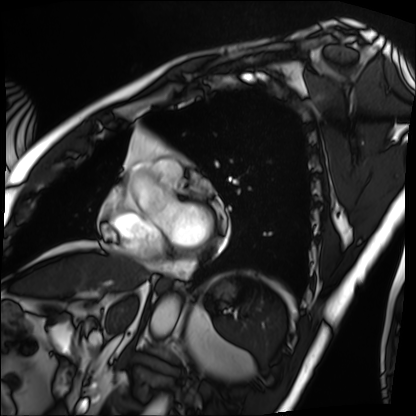
{
  "modality": "cardiac MRI",
  "cohort": "patient"
}